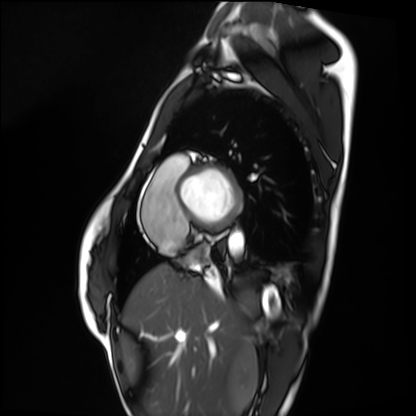
Cardiac MRI.
Subject group: healthy volunteer.